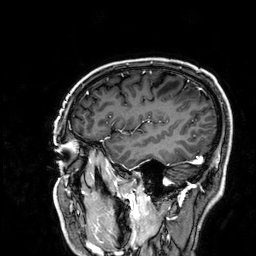
| field | value |
|---|---|
| modality | 3 Tesla brain MRI |
| series | 3D T1-weighted |
| study | ring-enhancing brain masses |